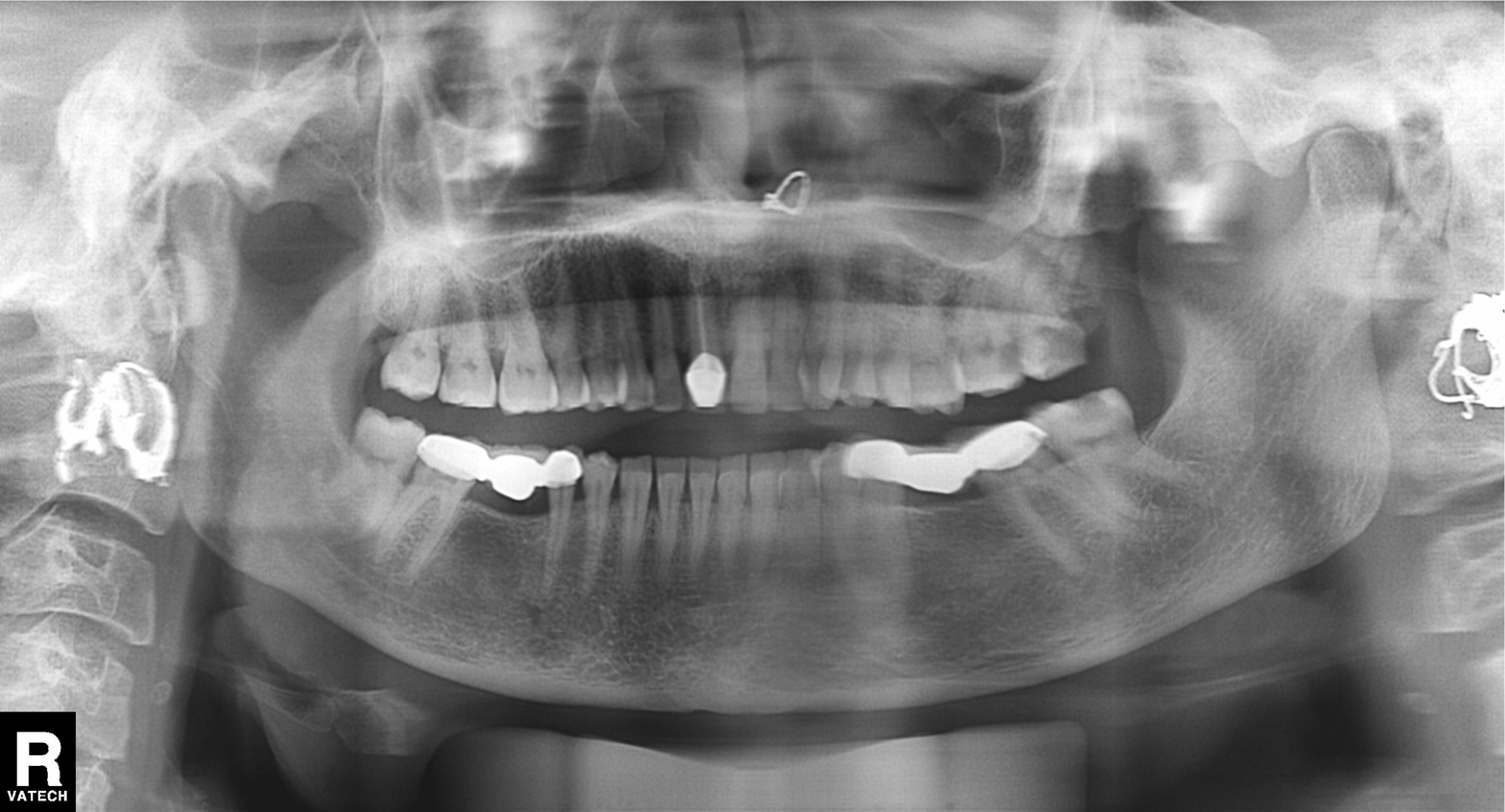
Panoramic dental radiograph (orthopantomogram). Finding: dental caries (cavities).